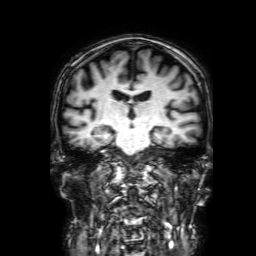
<record>
<modality>
  <type>brain MRI</type>
  <field_strength>3T</field_strength>
</modality>
<series>3D T1-weighted with SENSE</series>
<study_topic>ring-enhancing brain masses</study_topic>
</record>